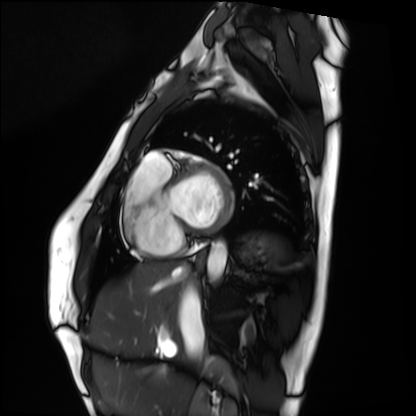
Cardiac MRI. Subject group: healthy volunteer.